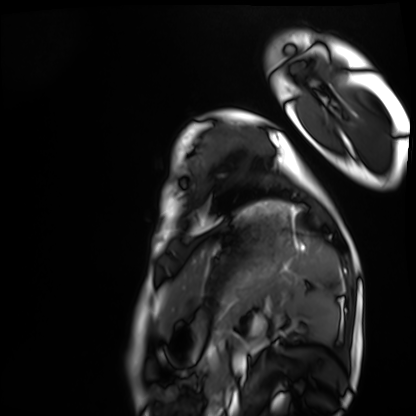
Cardiac MRI.
Subject group: healthy volunteer.